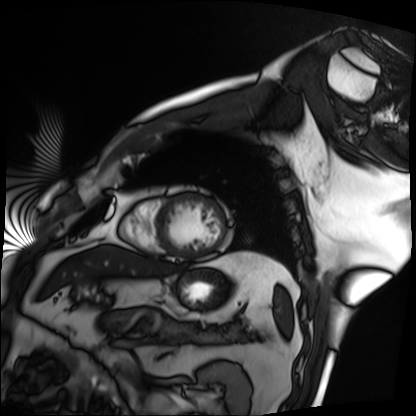
modality: cardiac MRI
subject group: patient